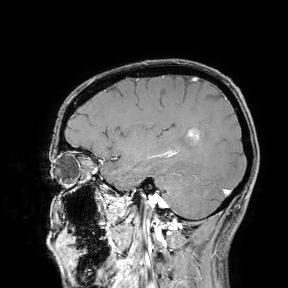
3 Tesla brain MRI. Study: ring-enhancing brain masses.